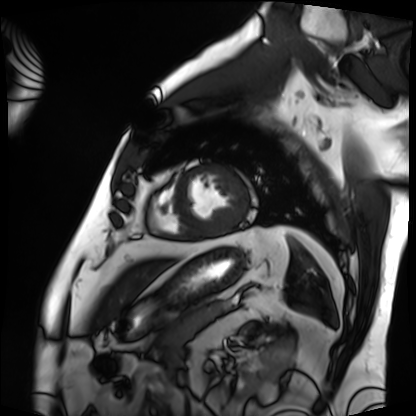
- modality: cardiac MRI
- subject group: patient